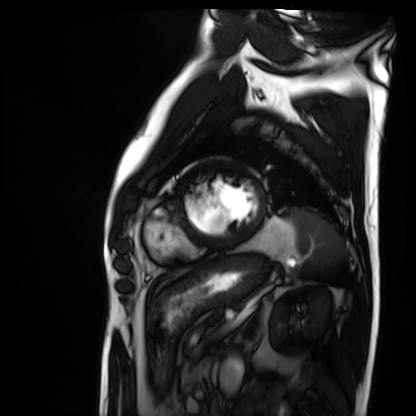
– modality: cardiac MRI
– subject group: patient